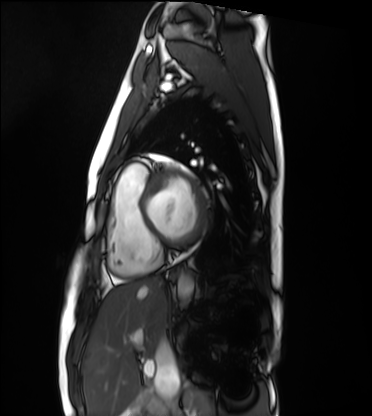
Cardiac MRI.
Subject group: healthy volunteer.